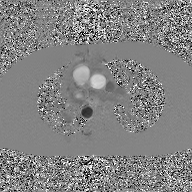
modality = 2D phase-contrast cine MRI of the ascending aorta, GAN super-resolution reconstruction